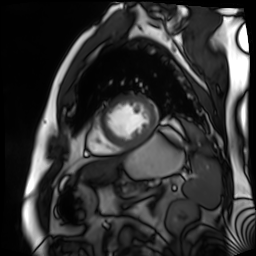
* modality — cardiac MR image of the myocardium
* subject cohort — cardiac patient